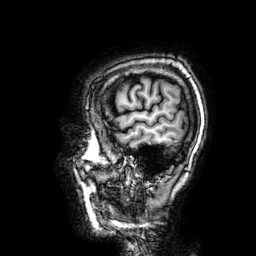
modality — 3 Tesla brain MRI | series — 3D T1-weighted | study — ring-enhancing brain masses.